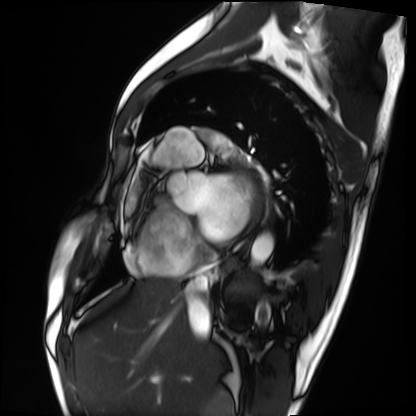
Case:
- modality · cardiac MRI
- subject group · patient